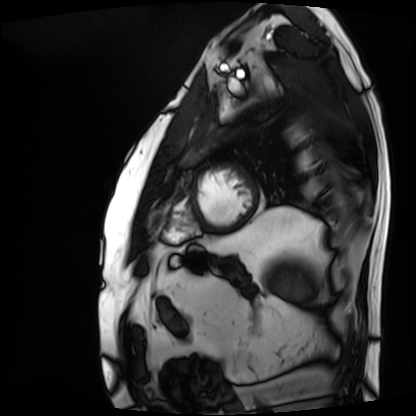
Cardiac MRI. Subject group: patient.